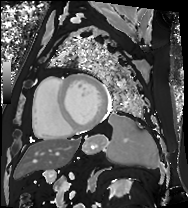
Case:
– modality — cardiac MRI
– subject group — patient